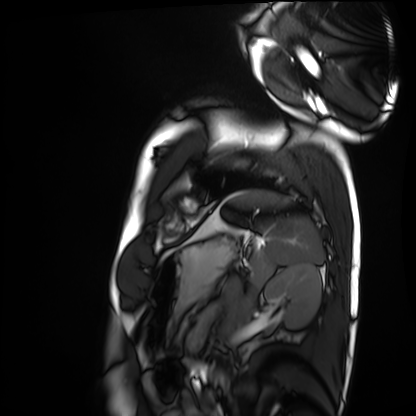
Cardiac MRI.
Subject group: healthy volunteer.